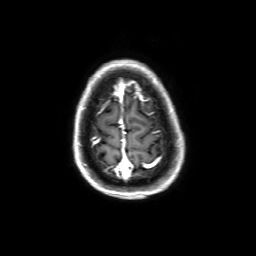
3 Tesla brain MRI.
Series: 3D T1-weighted with SENSE.
Study: ring-enhancing brain masses.